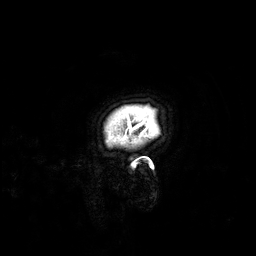
<record>
  <modality>
    <type>brain MRI</type>
    <field_strength>3T</field_strength>
  </modality>
  <series>3D T1-weighted</series>
  <study_topic>ring-enhancing brain masses</study_topic>
</record>